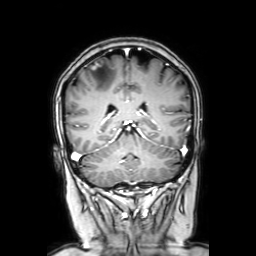
| field | value |
|---|---|
| modality | 3 Tesla brain MRI |
| series | coronal with contrast |
| study | ring-enhancing brain masses |